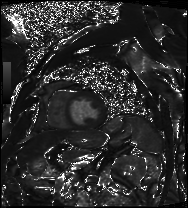
| field | value |
|---|---|
| modality | cardiac MRI |
| subject group | patient |